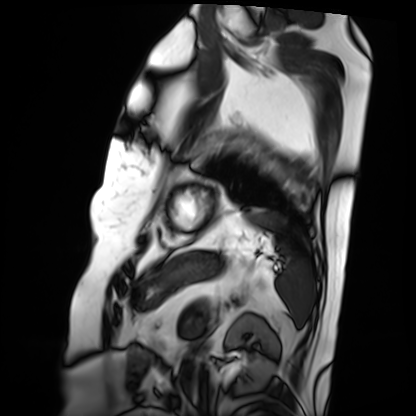
Cardiac MRI.
Subject group: patient.